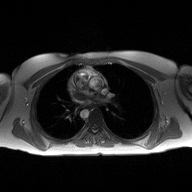
Q: What kind of scan is this?
A: 2D phase-contrast cine MRI of the ascending aorta.